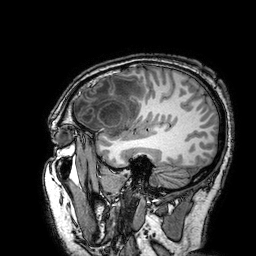
Q: What kind of scan is this?
A: 3 Tesla brain MRI.
Q: Series?
A: 3D T1-weighted turbo field echo with SENSE.
Study: ring-enhancing brain masses.